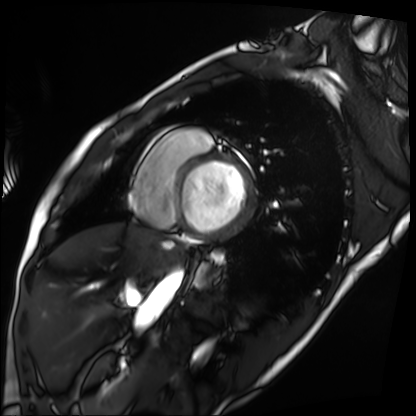
modality: cardiac MRI, subject group: patient.